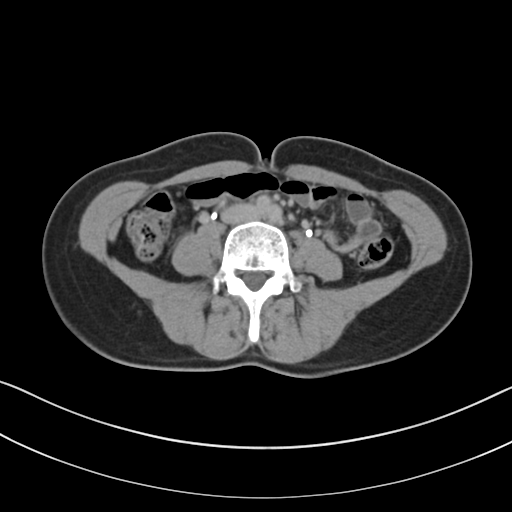
* modality — multiphase abdominal CT, liver, delayed phase
* patient — female, age 40